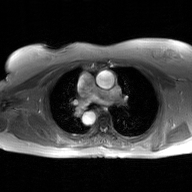
2D phase-contrast cine MRI of the ascending aorta, GAN super-resolution reconstruction.